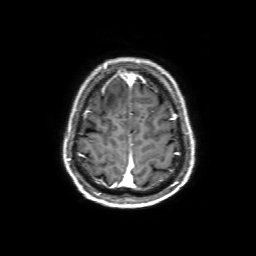
3 Tesla brain MRI.
Series: 3D T1-weighted with SENSE.
Study: ring-enhancing brain masses.